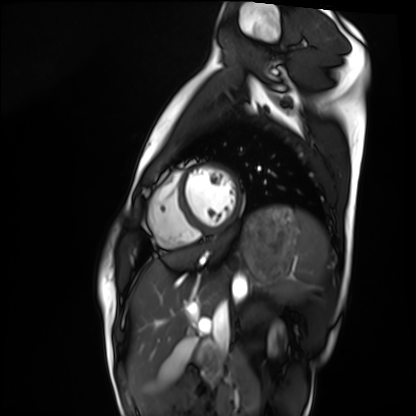
Cardiac MRI. Subject group: healthy volunteer.